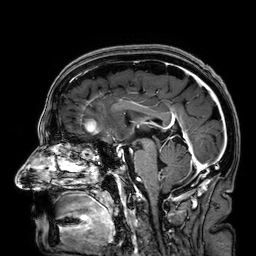
<record>
  <modality>
    <type>brain MRI</type>
    <field_strength>3T</field_strength>
  </modality>
  <series>3D T1-weighted</series>
  <study_topic>ring-enhancing brain masses</study_topic>
</record>